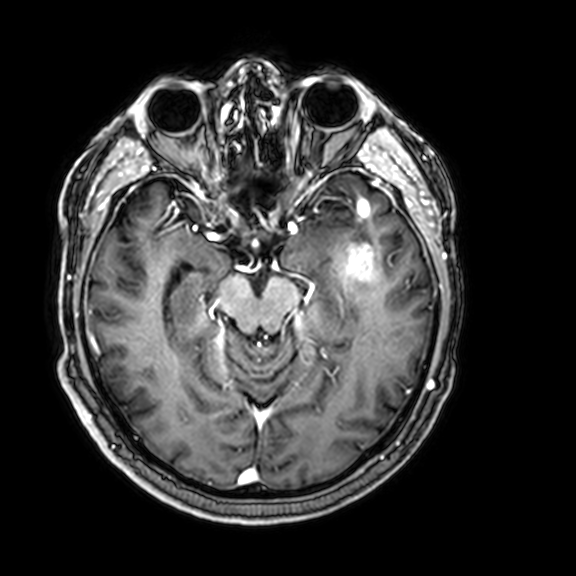
Q: What kind of scan is this?
A: 3 Tesla brain MRI.
Q: Series?
A: 3D T1-weighted with CLEAR.
Study: ring-enhancing brain masses.